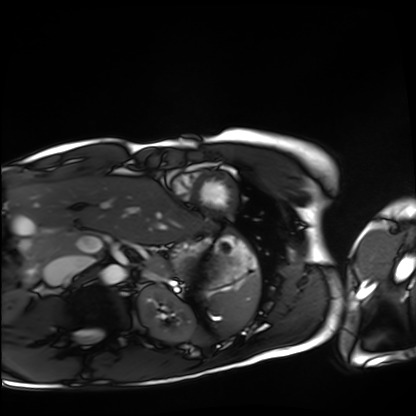
Cardiac MRI. Subject group: healthy volunteer.